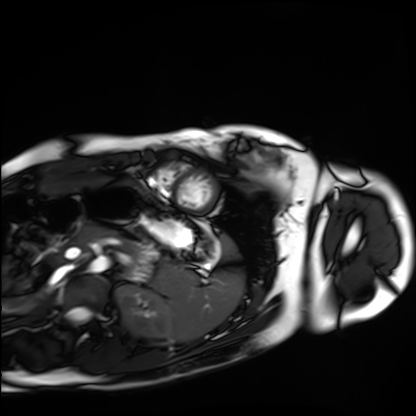
Cardiac MRI.
Subject group: healthy volunteer.